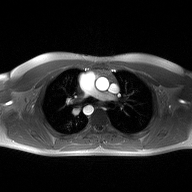
Case:
• modality · 2D phase-contrast cine MRI of the ascending aorta